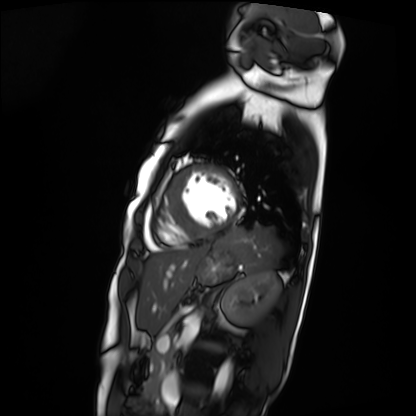
Case:
• modality — cardiac MRI
• subject group — patient